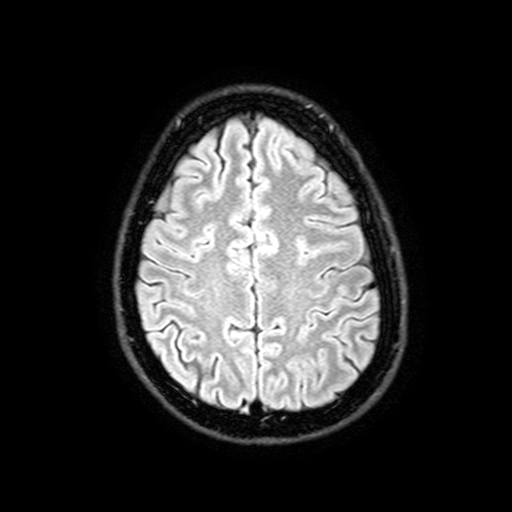
modality — 3 Tesla brain MRI | series — FLAIR with SPAIR, 3 mm | study — ring-enhancing brain masses.